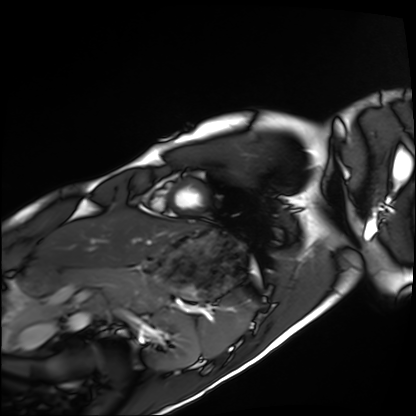
Summary: Cardiac MRI. Subject group: healthy volunteer.